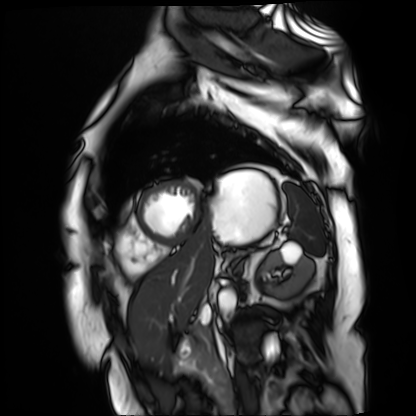
Case summary:
Cardiac MR image of the myocardium. Subject cohort: cardiac patient.